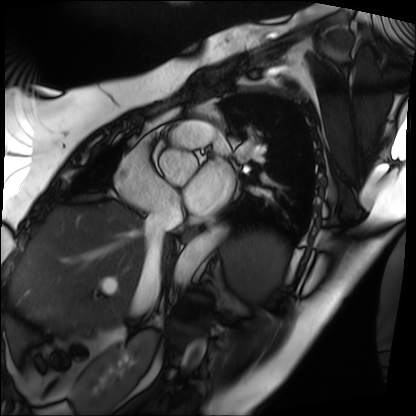
Cardiac MRI. Subject group: patient.